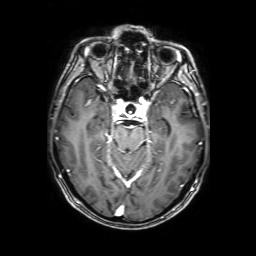
3 Tesla brain MRI. Series: 3D T1-weighted with SENSE. Study: ring-enhancing brain masses.